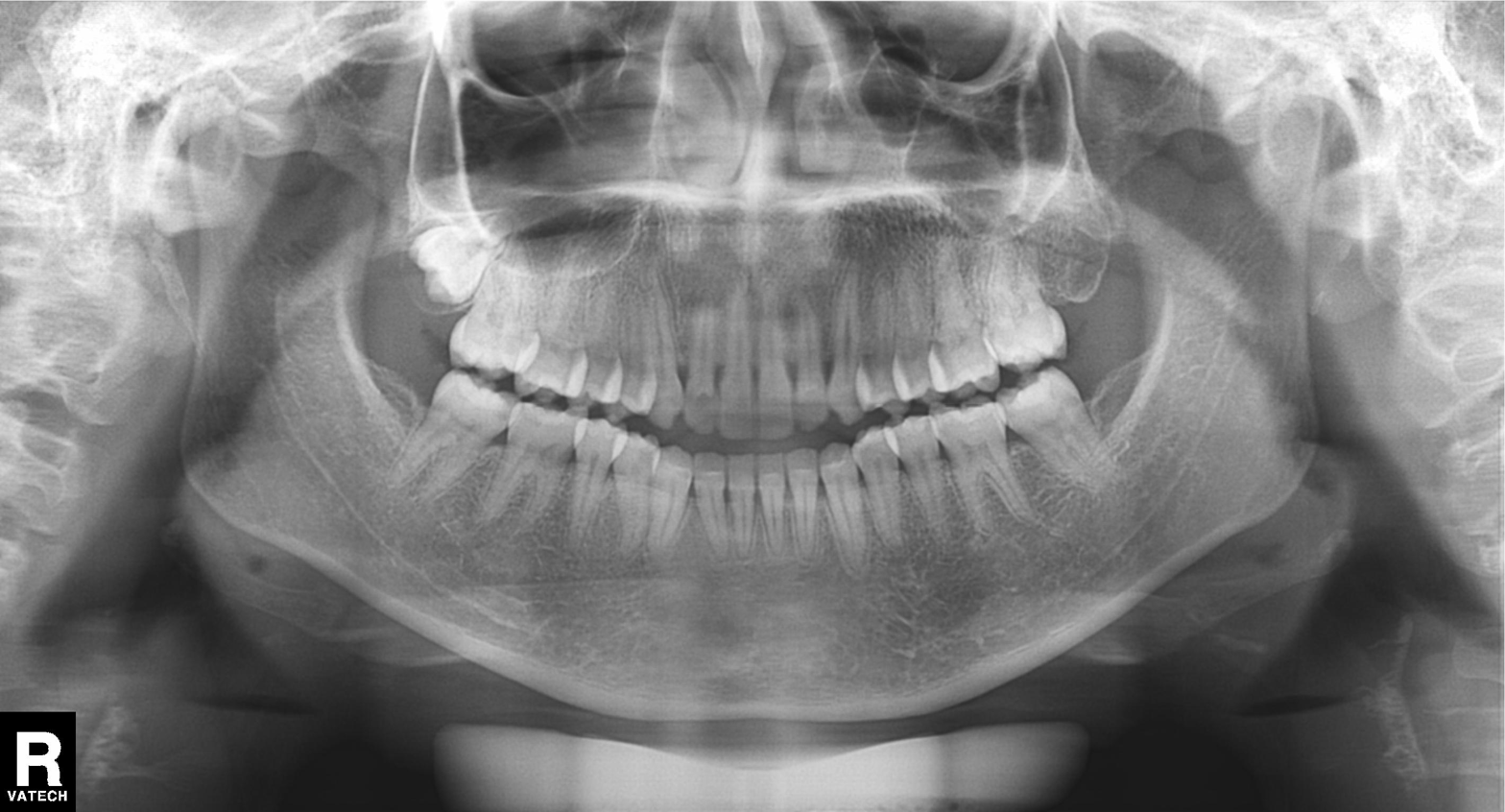
Panoramic dental radiograph (orthopantomogram). Finding: alveolar bone loss.